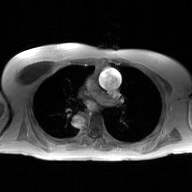
Q: What kind of scan is this?
A: 2D phase-contrast cine MRI of the ascending aorta, GAN super-resolution reconstruction.